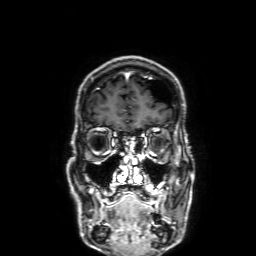
Summary: 3 Tesla brain MRI. Series: 3D T1-weighted with SENSE. Study: ring-enhancing brain masses.